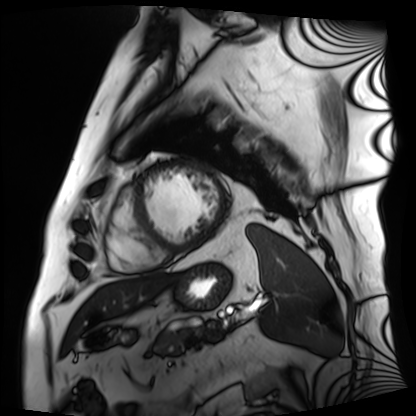
modality: cardiac MRI
subject group: patient